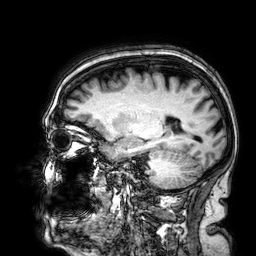
{
  "modality": {
    "type": "brain MRI",
    "field_strength": "3T"
  },
  "study_topic": "ring-enhancing brain masses"
}